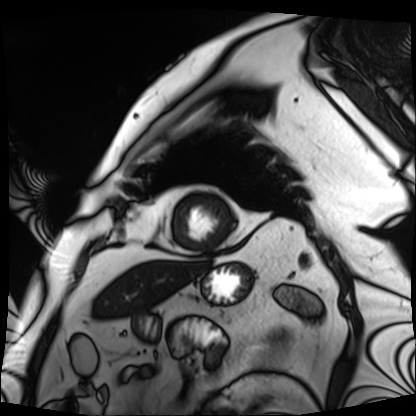
Cardiac MRI. Subject group: patient.